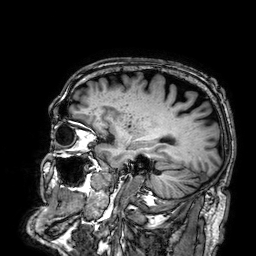
- modality: 3 Tesla brain MRI
- series: 3D T1-weighted
- study: ring-enhancing brain masses